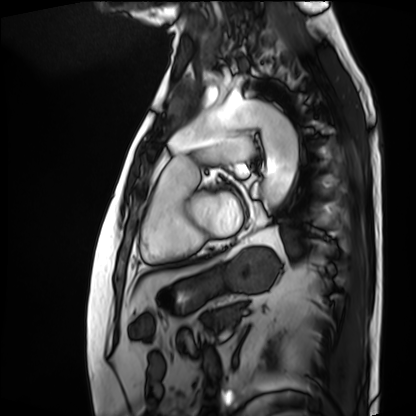
modality=cardiac MRI | subject group=patient.